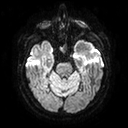
* modality: 3 Tesla brain MRI
* series: diffusion tensor imaging (medium iso)
* study: ring-enhancing brain masses